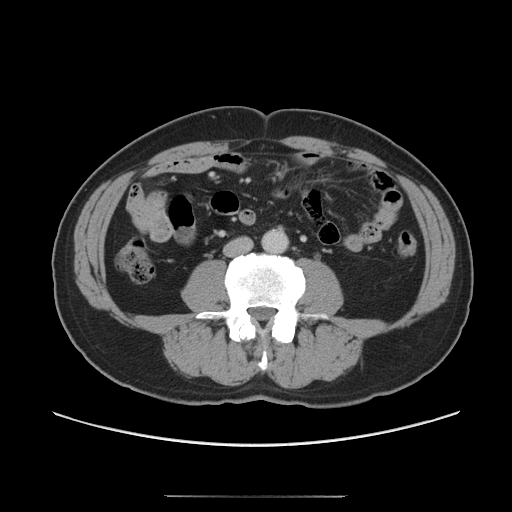
Multiphase abdominal CT, liver, portal venous phase.
Patient: male, age 56.